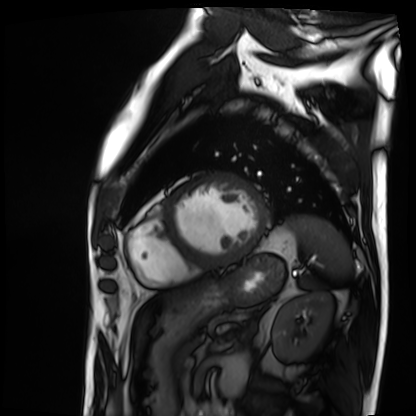
- modality · cardiac MRI
- subject group · patient